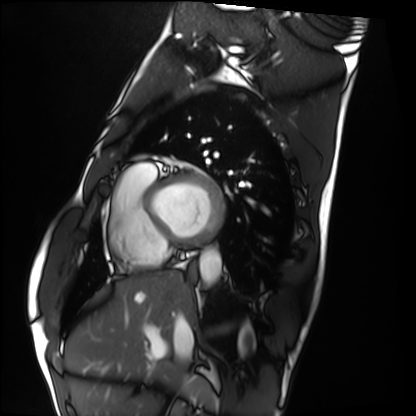
modality: cardiac MRI; subject group: healthy volunteer.